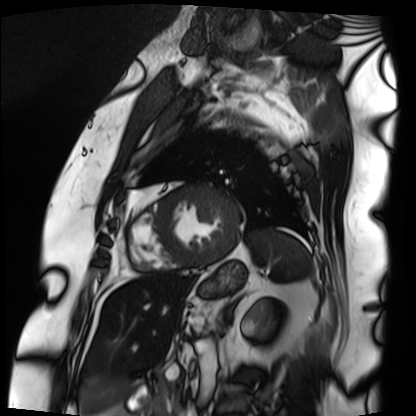
• modality — cardiac MRI
• subject group — patient